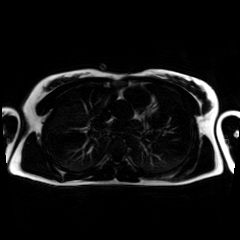
modality = chemical-shift-encoded cardiac MRI.